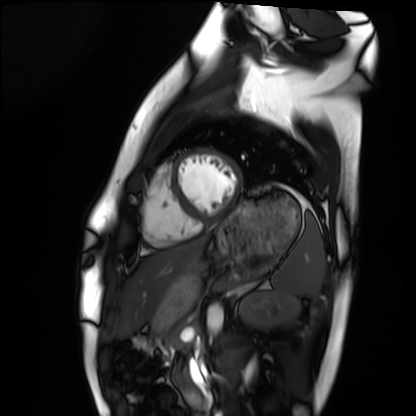
modality = cardiac MRI, subject group = healthy volunteer.